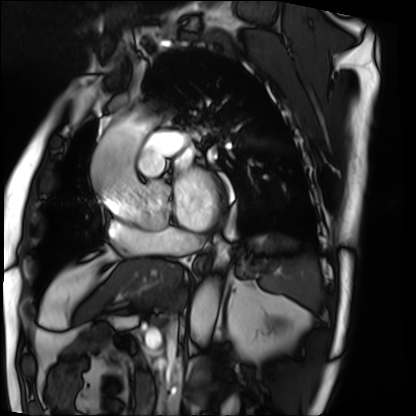
– modality · cardiac MRI
– subject group · patient